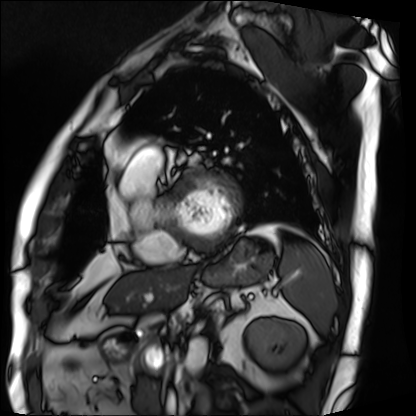
Cardiac MRI.
Subject group: patient.